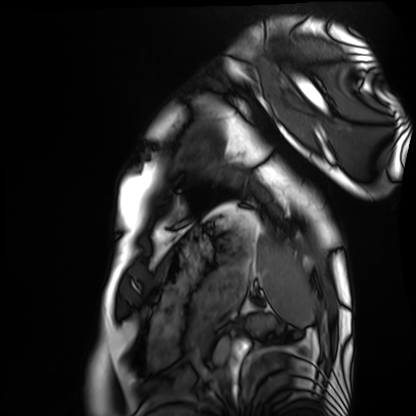
Case:
- modality — cardiac MRI
- subject group — healthy volunteer